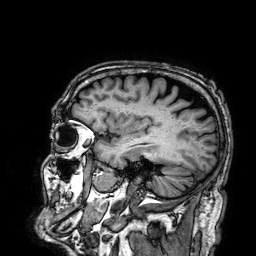
Summary:
3 Tesla brain MRI. Series: 3D T1-weighted. Study: ring-enhancing brain masses.